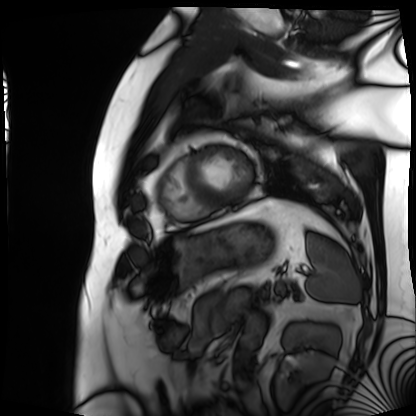
<record>
  <modality>cardiac MRI</modality>
  <cohort>patient</cohort>
</record>